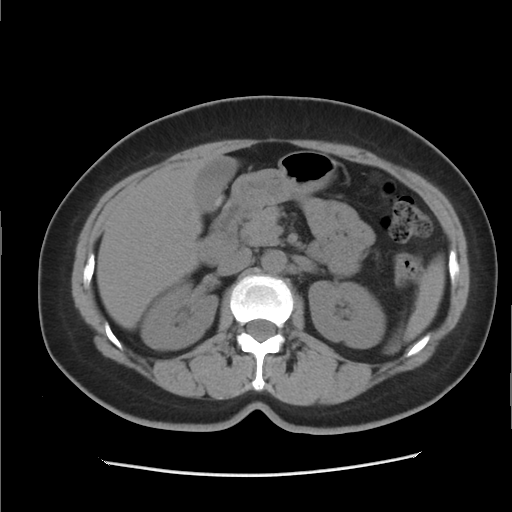
Multiphase abdominal CT, liver, non-contrast phase.